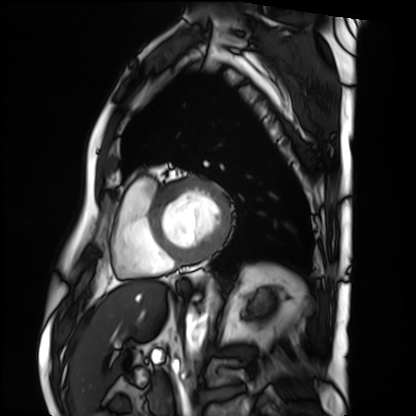
Cardiac MRI. Subject group: patient.